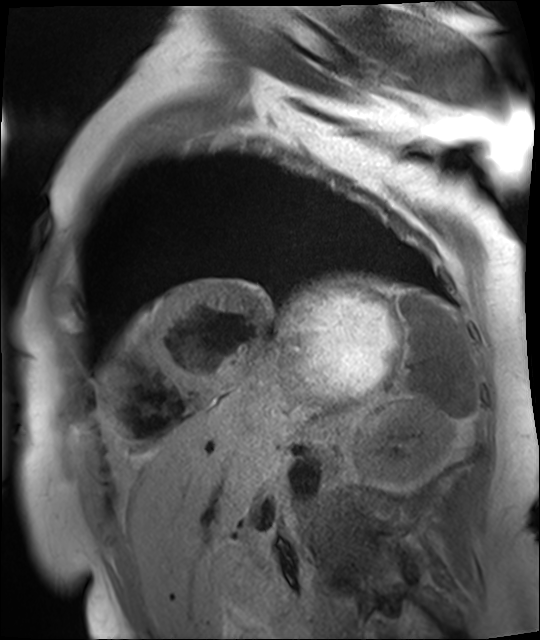
modality: cardiac MR image of the myocardium
subject cohort: cardiac patient